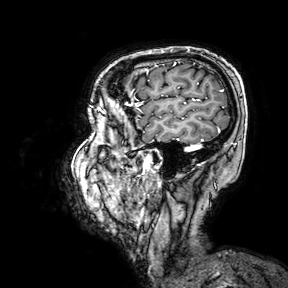
Clinical context: 3 Tesla brain MRI. Series: 3D T1-weighted turbo field echo with SENSE. Study: ring-enhancing brain masses.